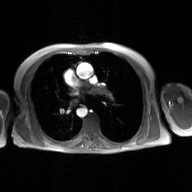
2D phase-contrast cine MRI of the ascending aorta, GAN super-resolution reconstruction.